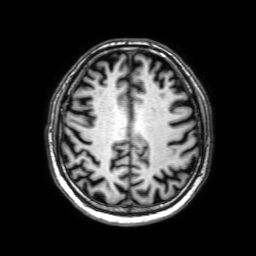
| field | value |
|---|---|
| modality | 3 Tesla brain MRI |
| series | 3D T1-weighted with SENSE |
| study | ring-enhancing brain masses |